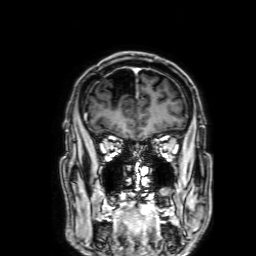
3 Tesla brain MRI. Series: 3D T1-weighted with SENSE. Study: ring-enhancing brain masses.